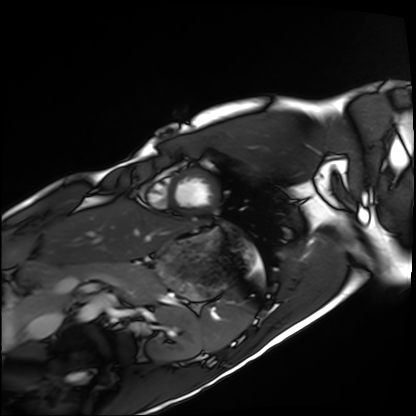
Q: What kind of scan is this?
A: Cardiac MRI.
Subject group: healthy volunteer.